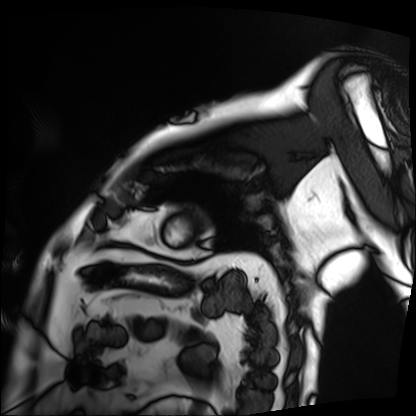
modality = cardiac MRI; subject group = patient.